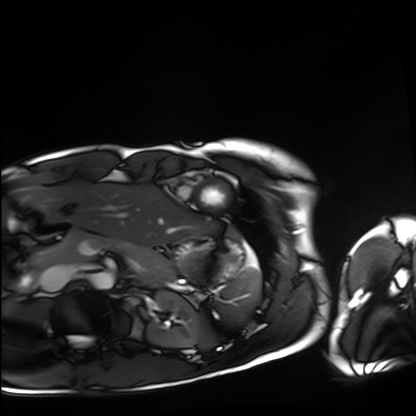
Cardiac MRI.
Subject group: healthy volunteer.